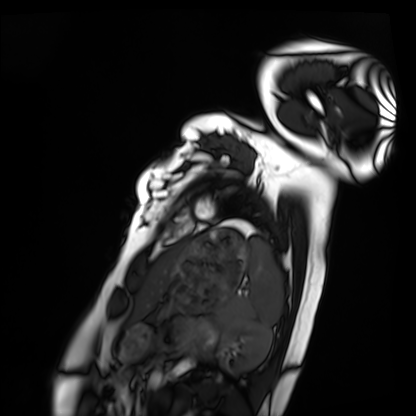
Summary: Cardiac MRI. Subject group: healthy volunteer.